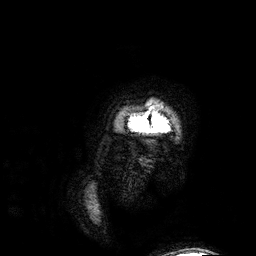
Summary:
3 Tesla brain MRI. Series: 3D T1-weighted. Study: ring-enhancing brain masses.